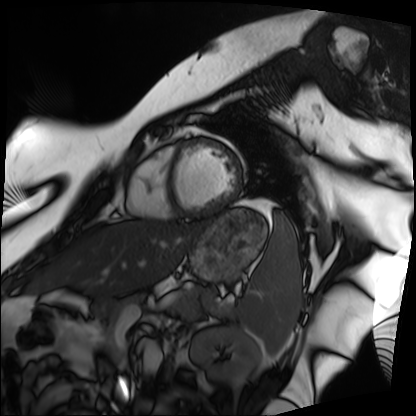
• modality · cardiac MRI
• subject group · patient